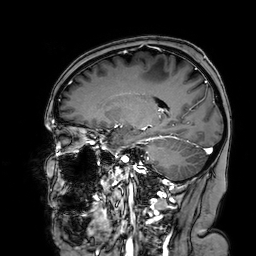
3 Tesla brain MRI. Series: 3D T1-weighted turbo field echo with SENSE. Study: ring-enhancing brain masses.